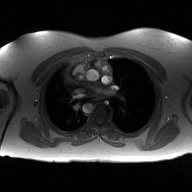
Clinical context:
2D phase-contrast cine MRI of the ascending aorta, high-resolution GRAPPA acquisition.